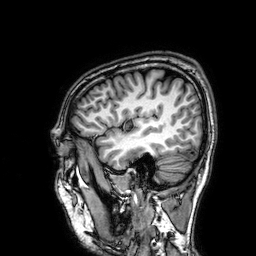
* modality · 3 Tesla brain MRI
* series · 3D T1-weighted
* study · ring-enhancing brain masses